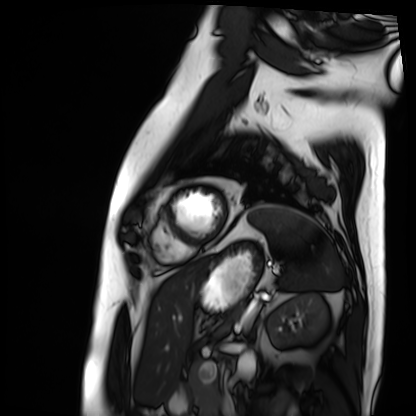
Cardiac MRI.
Subject group: patient.